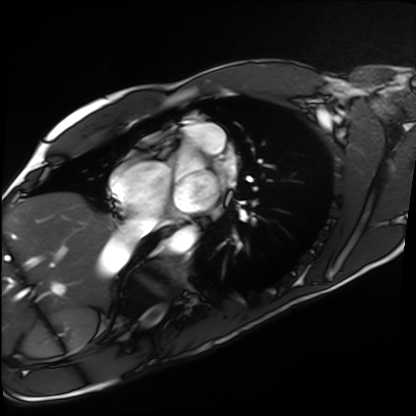
Summary: Cardiac MRI. Subject group: healthy volunteer.